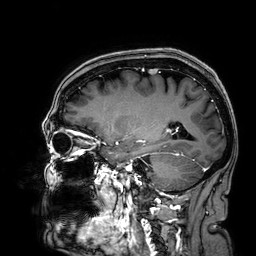
Case summary: 3 Tesla brain MRI. Series: 3D T1-weighted. Study: ring-enhancing brain masses.